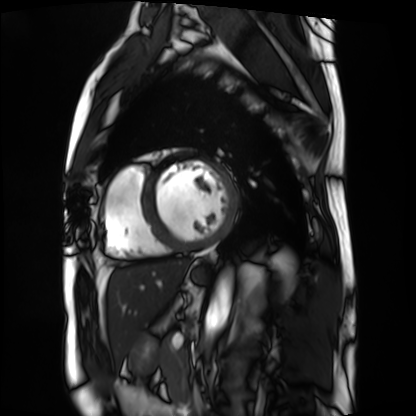
Clinical context: Cardiac MRI. Subject group: patient.